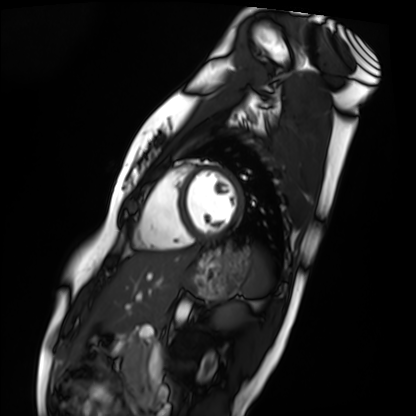
Clinical context:
Cardiac MRI. Subject group: healthy volunteer.